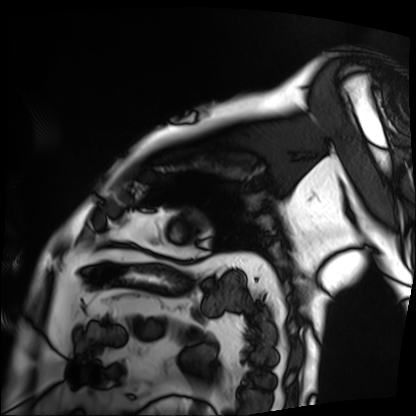
modality=cardiac MRI
subject group=patient